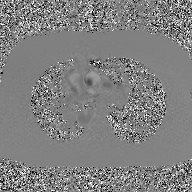
2D phase-contrast cine MRI of the ascending aorta, GAN super-resolution reconstruction.